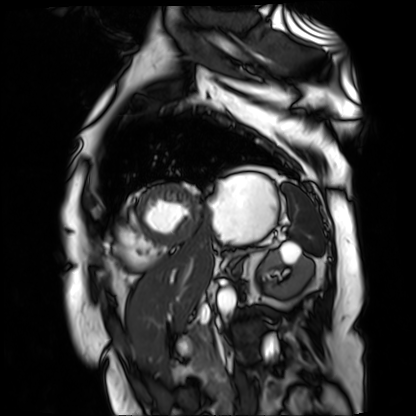
modality = cardiac MR image of the myocardium
subject cohort = cardiac patient